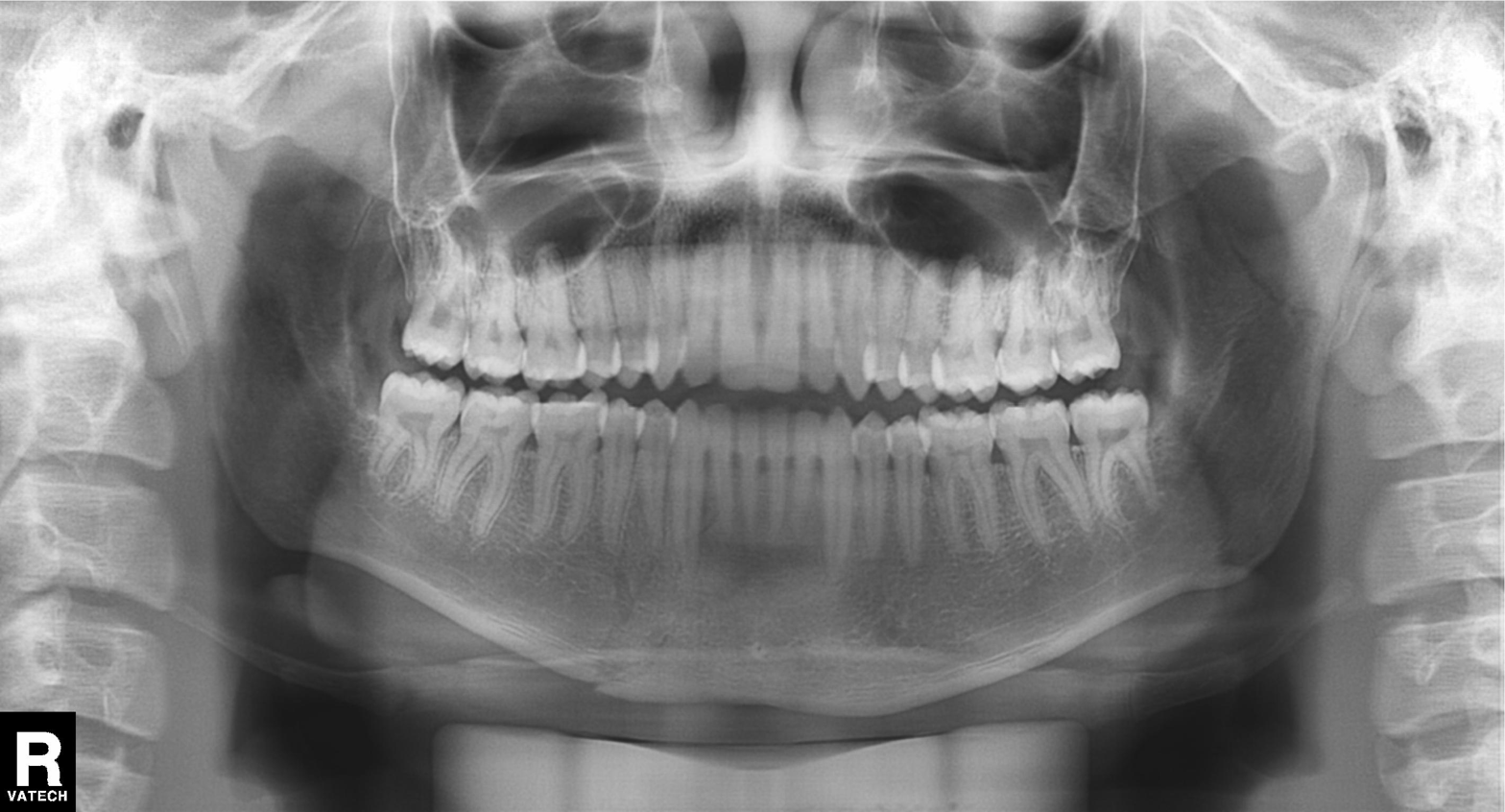
Case summary: Panoramic dental radiograph (orthopantomogram).
Impression: Dental caries (cavities).